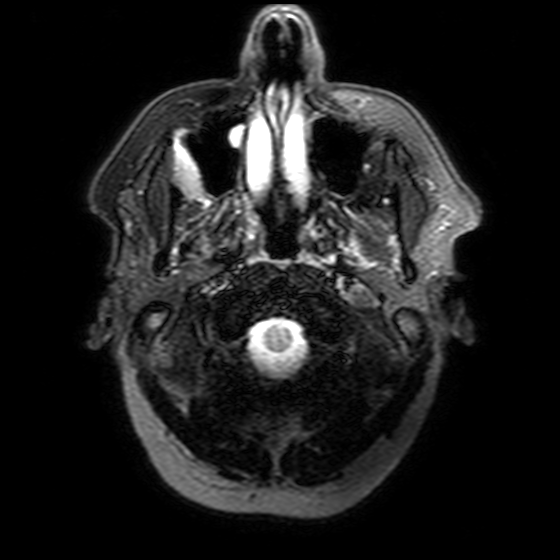
3 Tesla brain MRI. Series: T2-weighted FLAIR. Study: ring-enhancing brain masses.